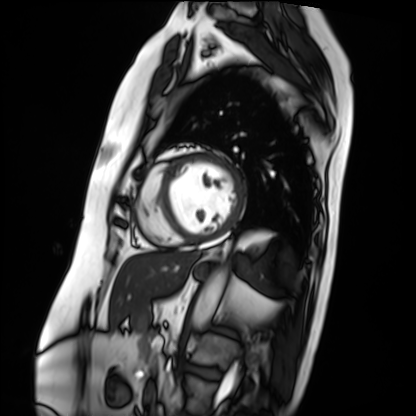
{"modality": "cardiac MRI", "cohort": "patient"}